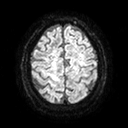
{"modality": {"type": "brain MRI", "field_strength": "3T"}, "series": "diffusion tensor imaging (medium iso)", "study_topic": "ring-enhancing brain masses"}